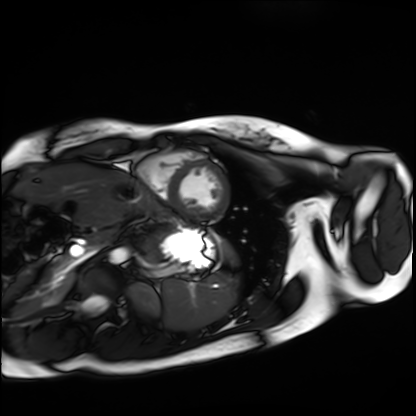
modality — cardiac MRI; subject group — healthy volunteer.